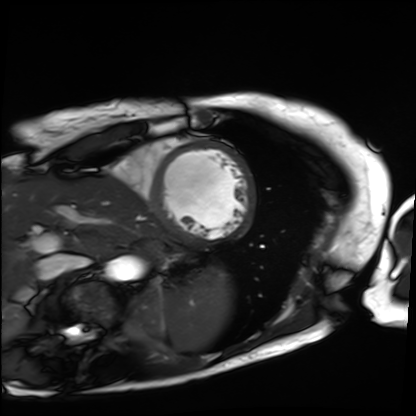
Summary: Cardiac MRI. Subject group: patient.